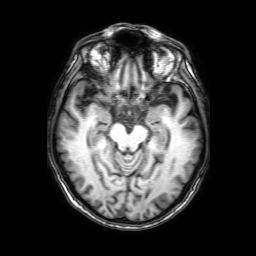
Case summary: 3 Tesla brain MRI. Series: 3D T1-weighted with SENSE. Study: ring-enhancing brain masses.